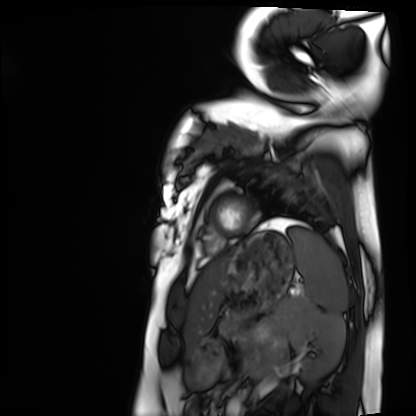
Cardiac MRI. Subject group: healthy volunteer.